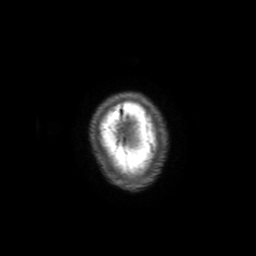
3 Tesla brain MRI.
Study: ring-enhancing brain masses.